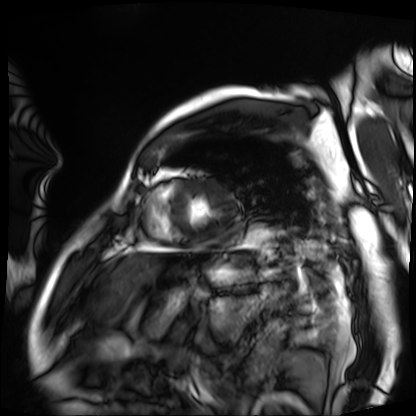
Cardiac MRI.
Subject group: patient.